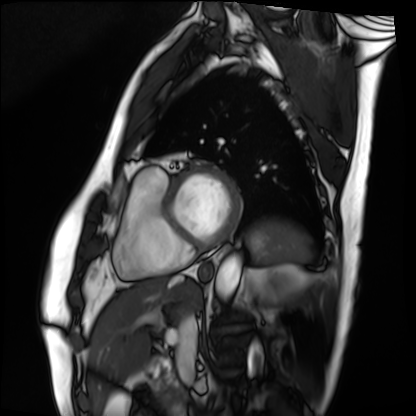
modality = cardiac MRI | subject group = patient.